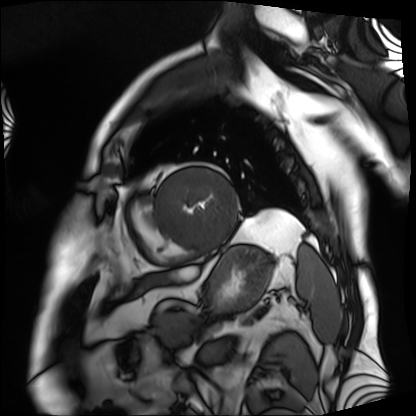
Summary:
Cardiac MRI. Subject group: patient.